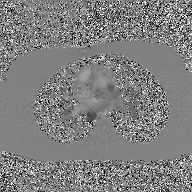
modality: 2D phase-contrast cine MRI of the ascending aorta, GAN super-resolution reconstruction.